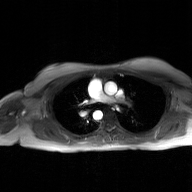
modality: 2D phase-contrast cine MRI of the ascending aorta, GAN super-resolution reconstruction.